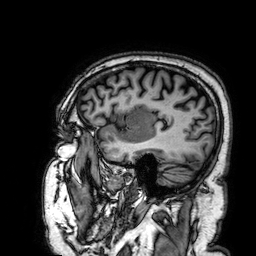
3 Tesla brain MRI. Series: 3D T1-weighted. Study: ring-enhancing brain masses.